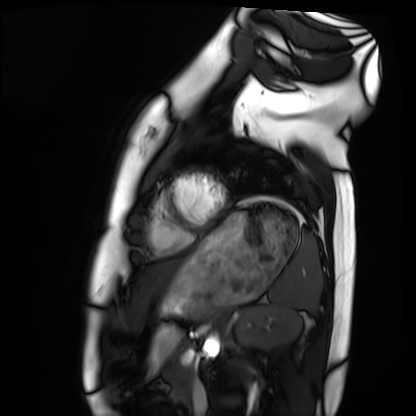
• modality: cardiac MRI
• subject group: healthy volunteer